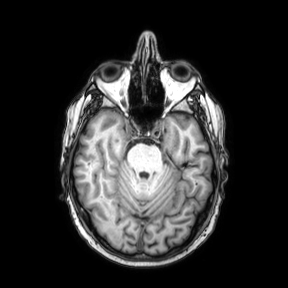
modality = 3 Tesla brain MRI
series = axial
study = ring-enhancing brain masses